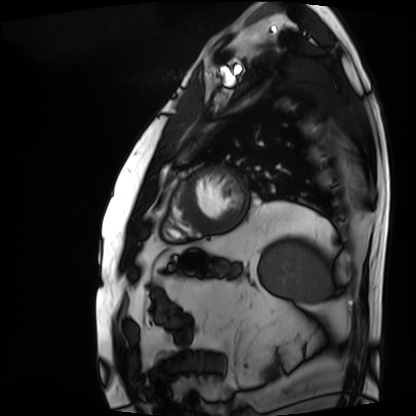
Q: What kind of scan is this?
A: Cardiac MRI.
Subject group: patient.